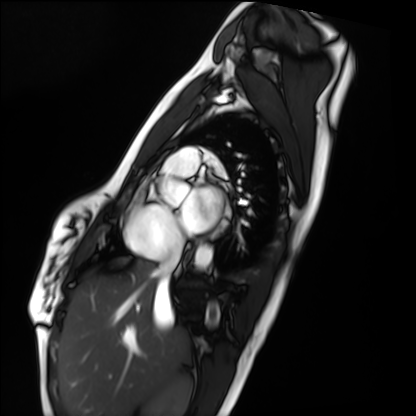
Cardiac MRI.
Subject group: healthy volunteer.